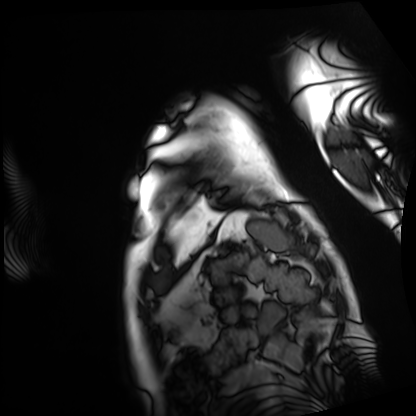
Cardiac MRI. Subject group: patient.